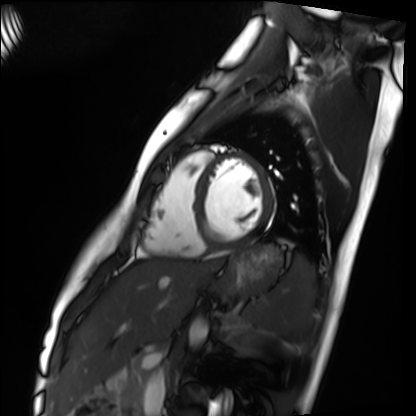
Q: What kind of scan is this?
A: Cardiac MRI.
Subject group: healthy volunteer.